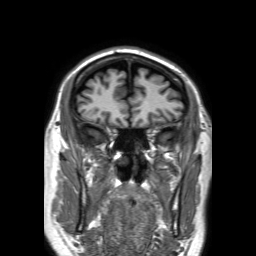
modality = 3 Tesla brain MRI
series = 3D T1-weighted TFE with SENSE
study = ring-enhancing brain masses